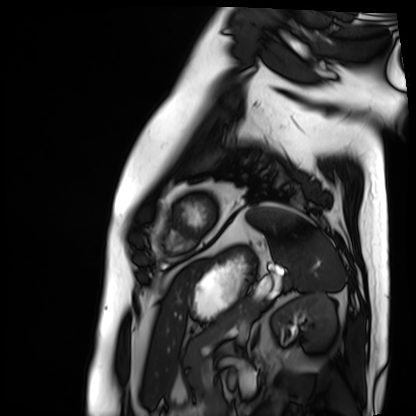
modality: cardiac MRI
cohort: patient